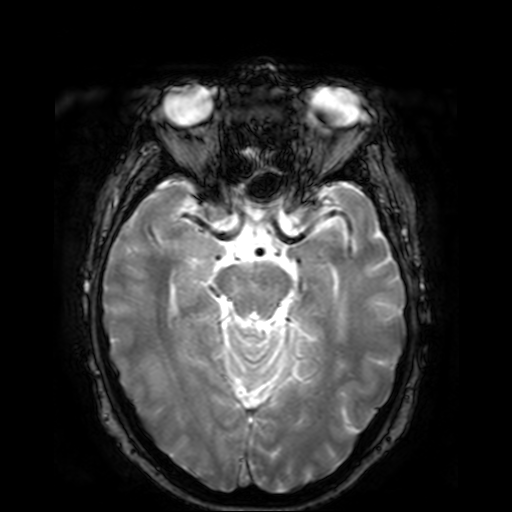
modality = 3 Tesla brain MRI; series = T2-weighted fast field echo; study = ring-enhancing brain masses.